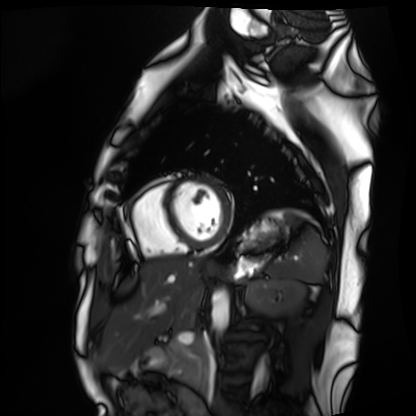
Summary:
Cardiac MRI. Subject group: healthy volunteer.